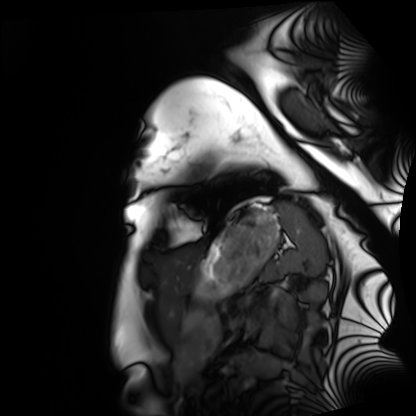
Cardiac MRI. Subject group: healthy volunteer.